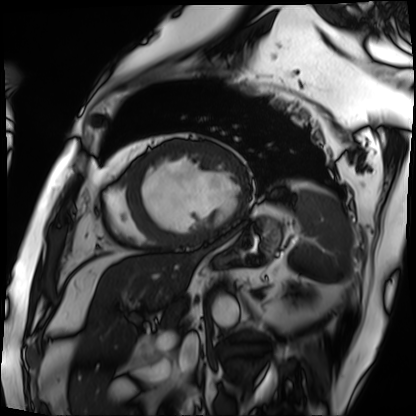
Cardiac MRI.
Subject group: patient.